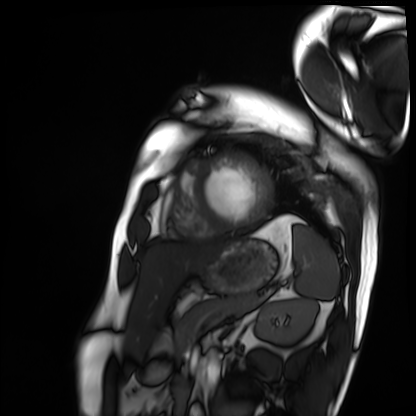
  modality: cardiac MRI
  cohort: patient